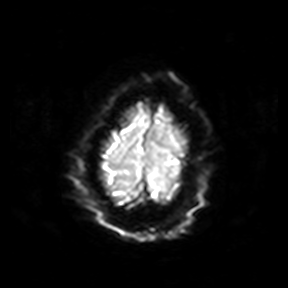
Summary:
3 Tesla brain MRI. Series: diffusion-weighted imaging. Study: ring-enhancing brain masses.